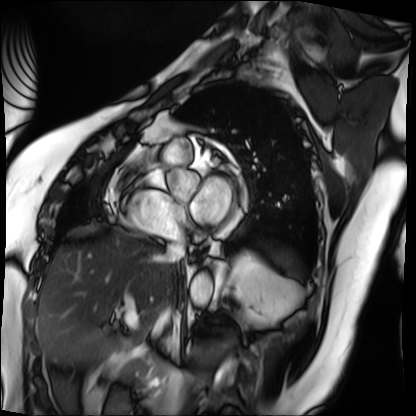
Case summary: Cardiac MRI. Subject group: patient.